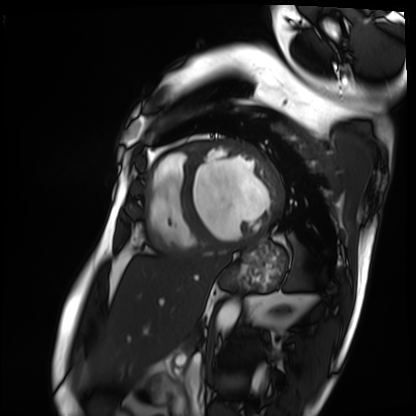
Q: What kind of scan is this?
A: Cardiac MRI.
Subject group: patient.